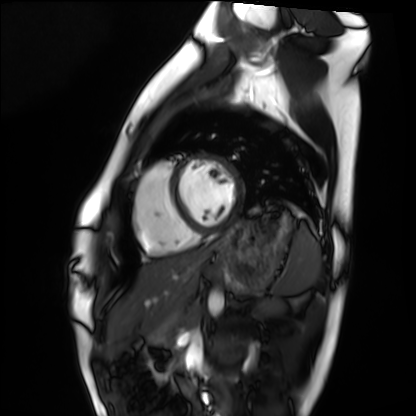
Cardiac MRI.
Subject group: healthy volunteer.